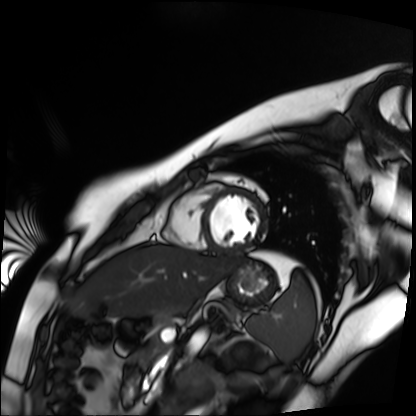
<record>
  <modality>cardiac MR image of the myocardium</modality>
  <cohort>healthy volunteer</cohort>
</record>